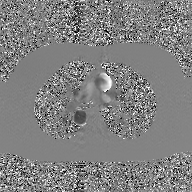
2D phase-contrast cine MRI of the ascending aorta, GAN super-resolution reconstruction.